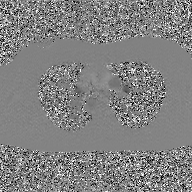
modality: 2D phase-contrast cine MRI of the ascending aorta, GAN super-resolution reconstruction.